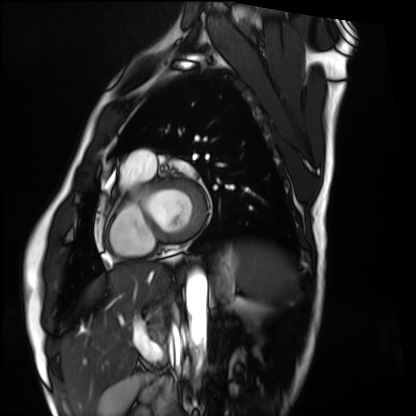
{"modality": "cardiac MRI", "cohort": "healthy volunteer"}